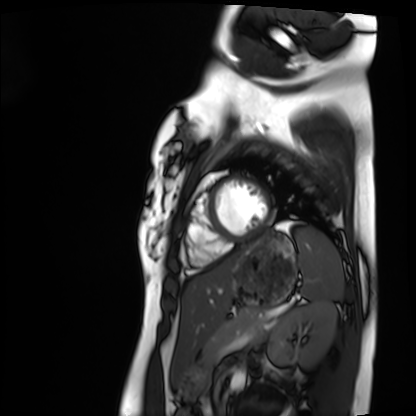
Cardiac MRI. Subject group: healthy volunteer.